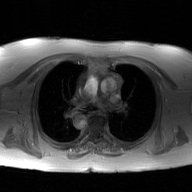
modality: 2D phase-contrast cine MRI of the ascending aorta, GAN super-resolution reconstruction.